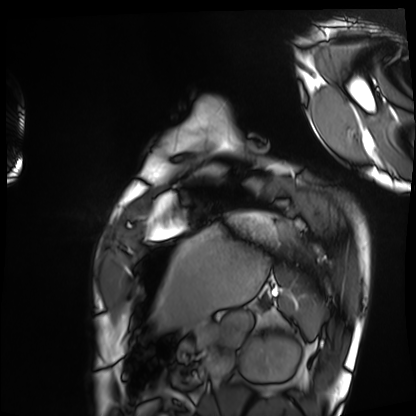
Cardiac MRI. Subject group: healthy volunteer.